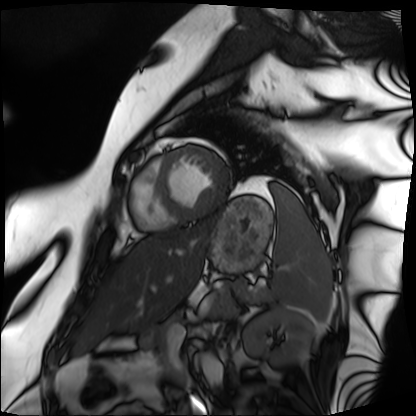
{
  "modality": "cardiac MRI",
  "cohort": "patient"
}